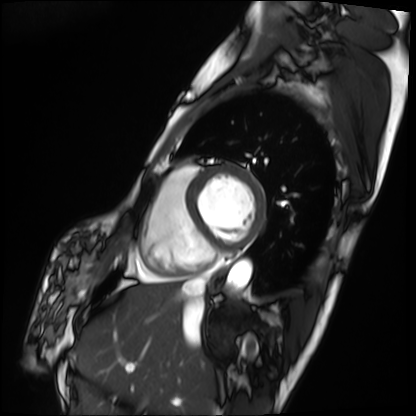
Cardiac MRI.
Subject group: patient.